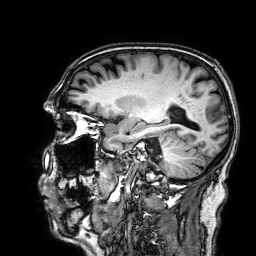
Clinical context:
3 Tesla brain MRI. Series: 3D T1-weighted. Study: ring-enhancing brain masses.